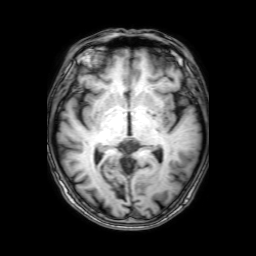
modality: 3 Tesla brain MRI
series: 3D T1-weighted with SENSE
study: ring-enhancing brain masses